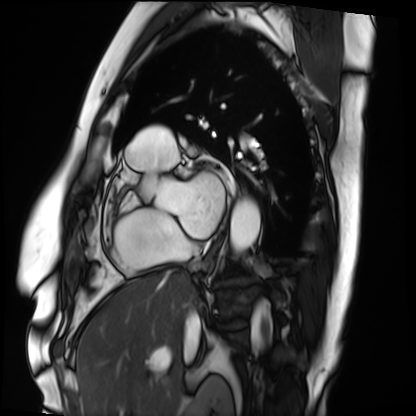
Q: What kind of scan is this?
A: Cardiac MRI.
Subject group: patient.